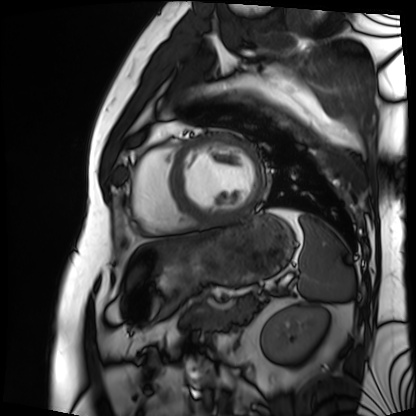
  modality: cardiac MRI
  cohort: patient